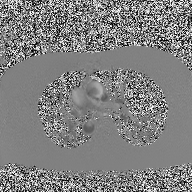
| field | value |
|---|---|
| modality | 2D phase-contrast cine MRI of the ascending aorta |